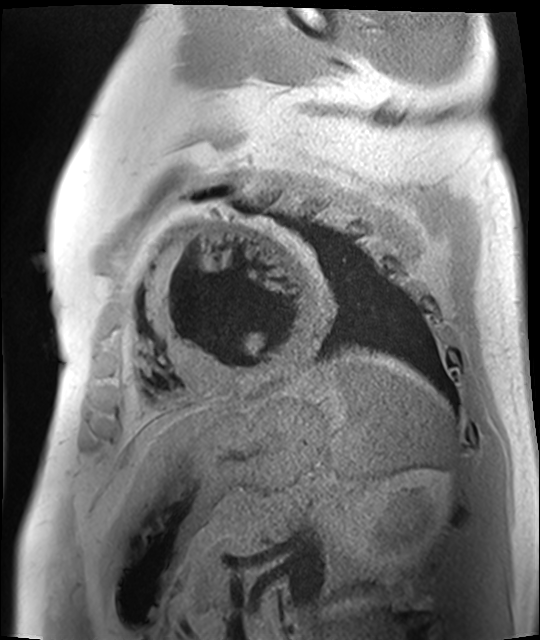
* modality — cardiac MR image of the myocardium
* subject cohort — cardiac patient